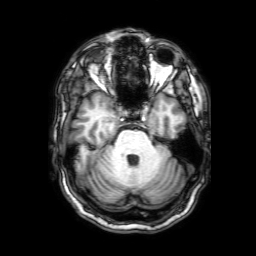
3 Tesla brain MRI. Series: 3D T1-weighted with SENSE. Study: ring-enhancing brain masses.